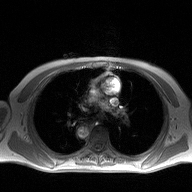
Case summary: 2D phase-contrast cine MRI of the ascending aorta, high-resolution GRAPPA acquisition.